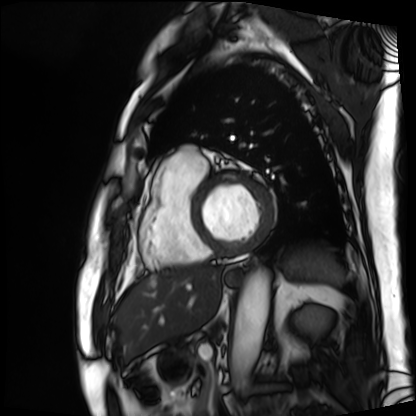
Case:
- modality: cardiac MRI
- subject group: patient